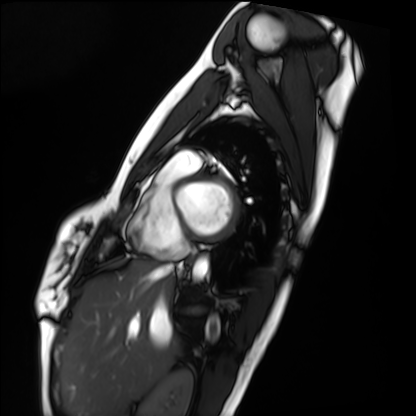
modality: cardiac MRI, subject group: healthy volunteer.